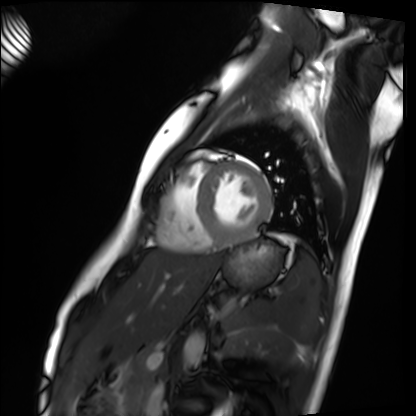
– modality — cardiac MRI
– subject group — healthy volunteer